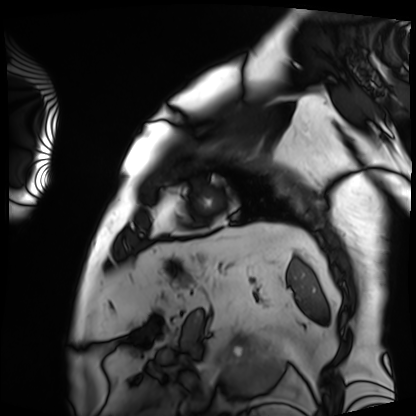
<record>
  <modality>cardiac MRI</modality>
  <cohort>patient</cohort>
</record>